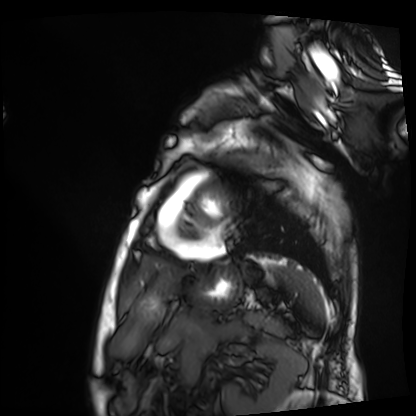
Cardiac MRI. Subject group: patient.